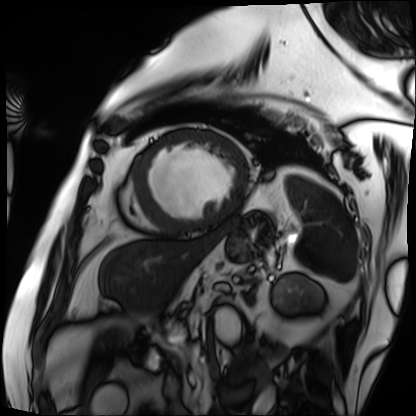
* modality: cardiac MRI
* subject group: patient